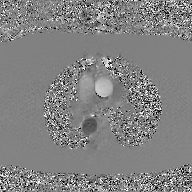
2D phase-contrast cine MRI of the ascending aorta, GAN super-resolution reconstruction.